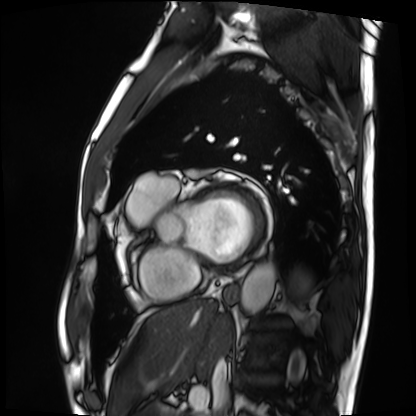
modality = cardiac MRI | subject group = patient.